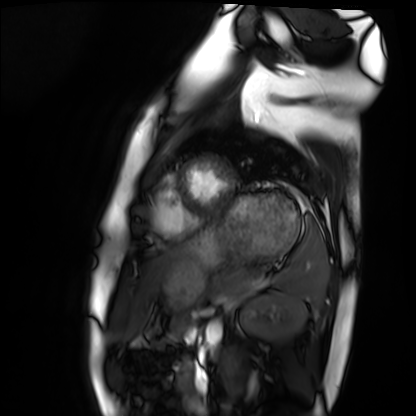
Case summary:
Cardiac MRI. Subject group: healthy volunteer.